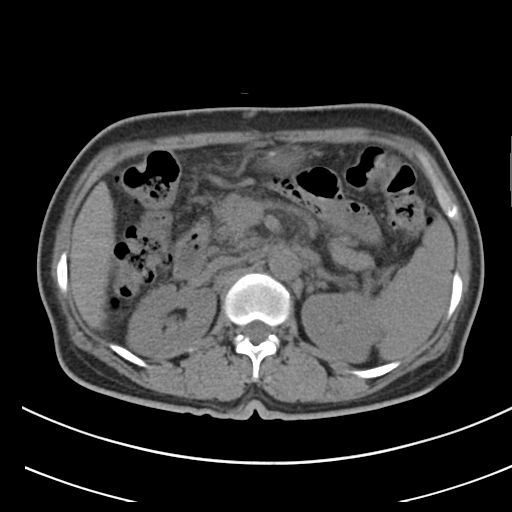
Case summary: Multiphase abdominal CT, liver, non-contrast phase. Patient: female, age 55.